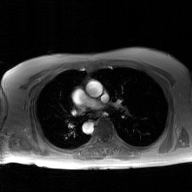
* modality · 2D phase-contrast cine MRI of the ascending aorta, GAN super-resolution reconstruction